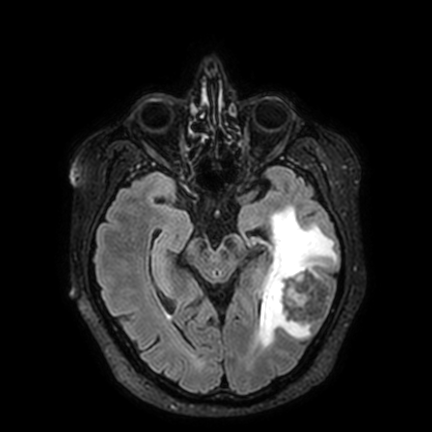
Clinical context: 3 Tesla brain MRI. Series: FLAIR VISTA with SENSE. Study: ring-enhancing brain masses.